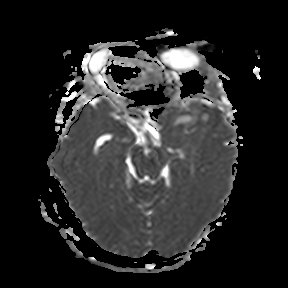
modality = 3 Tesla brain MRI
series = apparent diffusion coefficient (ADC) map
study = ring-enhancing brain masses